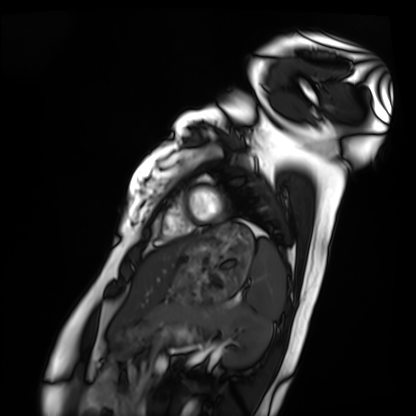
Cardiac MRI. Subject group: healthy volunteer.